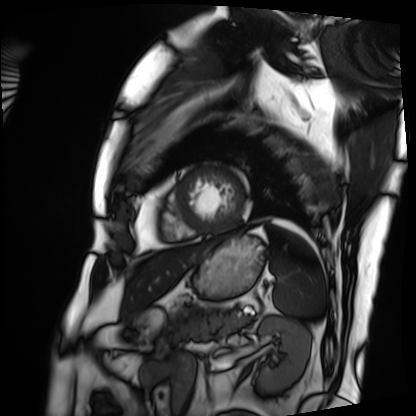
Case:
– modality · cardiac MRI
– subject group · patient